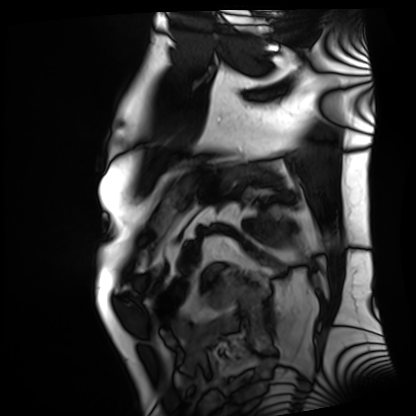
{"modality": "cardiac MRI", "cohort": "patient"}